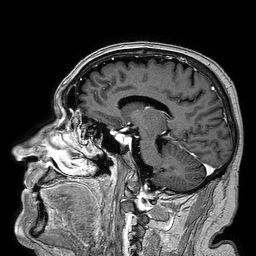
3 Tesla brain MRI.
Series: 3D T1-weighted turbo field echo.
Study: ring-enhancing brain masses.